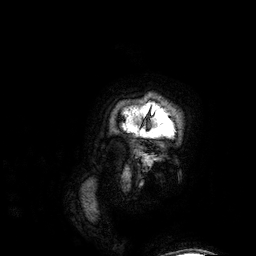
modality: 3 Tesla brain MRI | series: 3D T1-weighted | study: ring-enhancing brain masses.